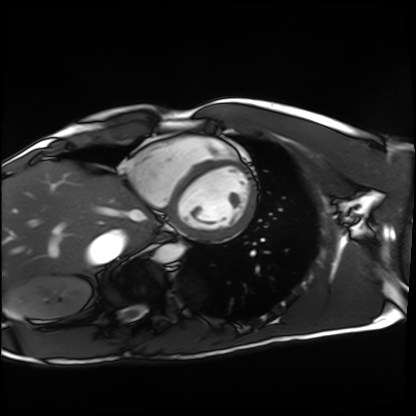
modality = cardiac MRI
subject group = healthy volunteer